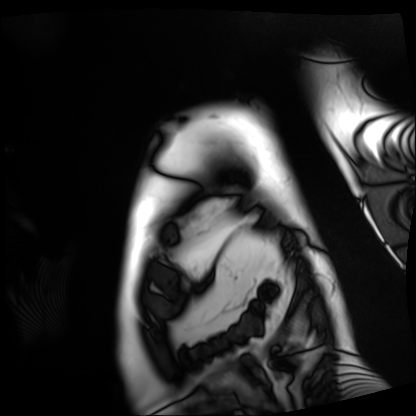
Summary:
Cardiac MRI. Subject group: patient.